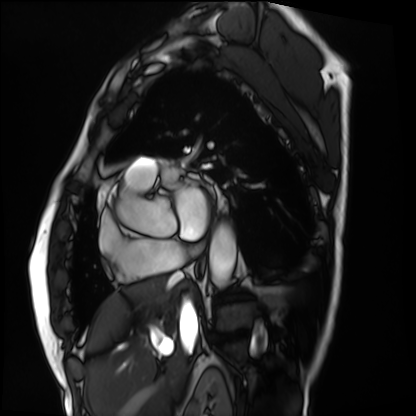
Summary:
Cardiac MRI. Subject group: patient.